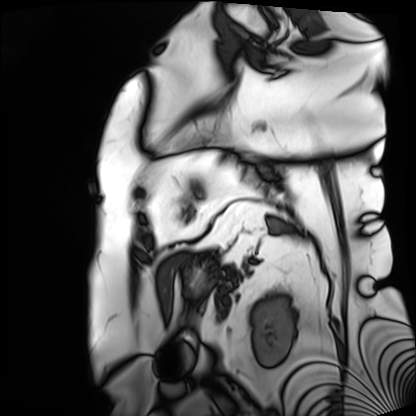
<scan>
  <modality>cardiac MRI</modality>
  <cohort>patient</cohort>
</scan>